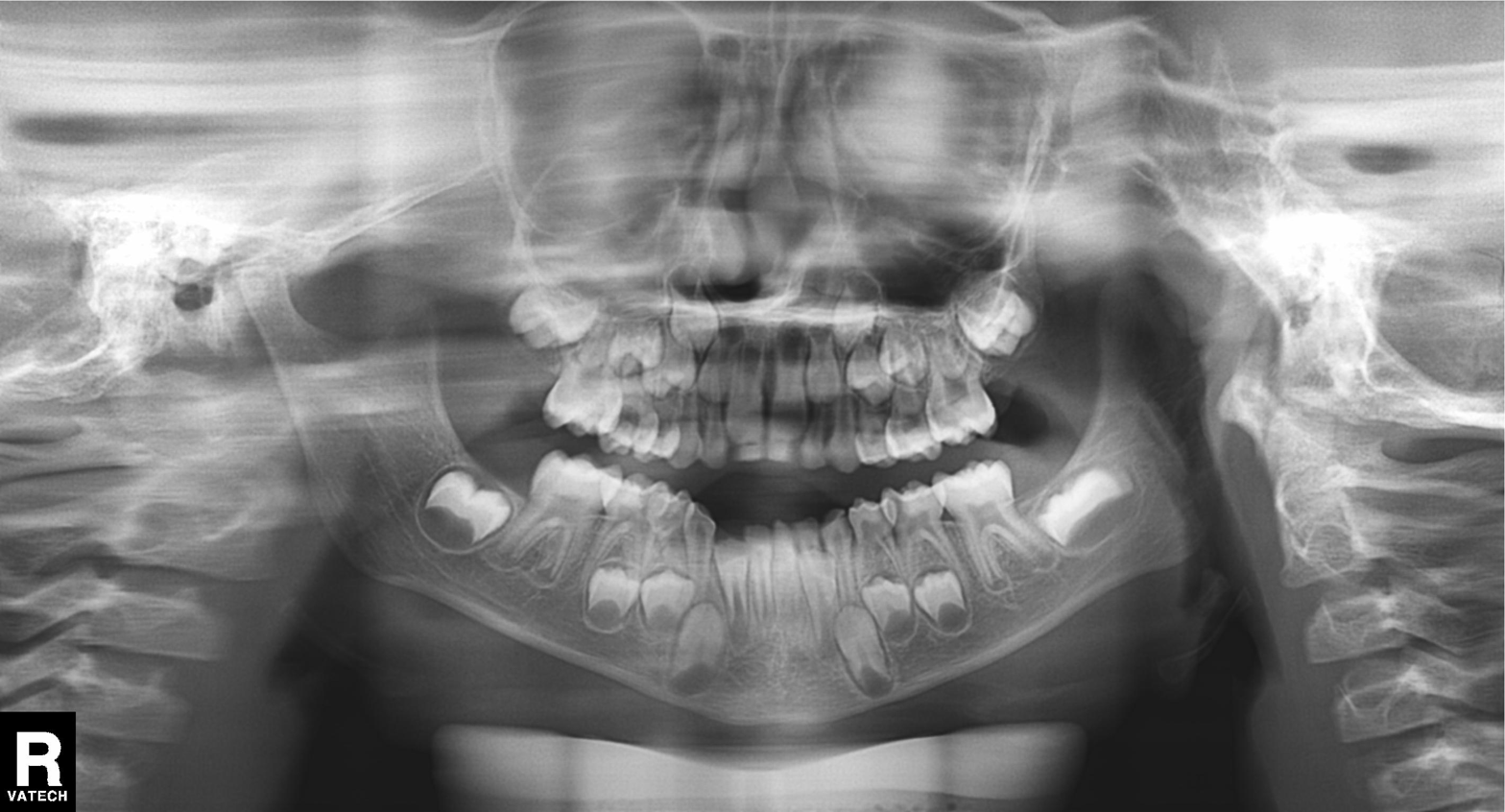
Case:
• modality — panoramic dental radiograph (orthopantomogram)
• finding — alveolar bone loss